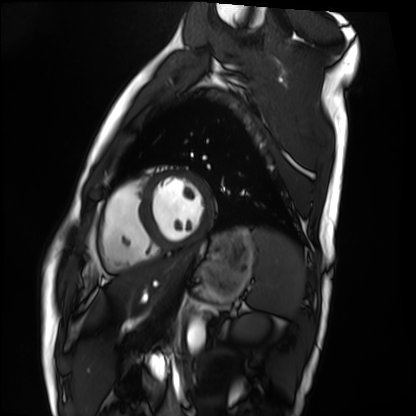
Clinical context: Cardiac MRI. Subject group: healthy volunteer.